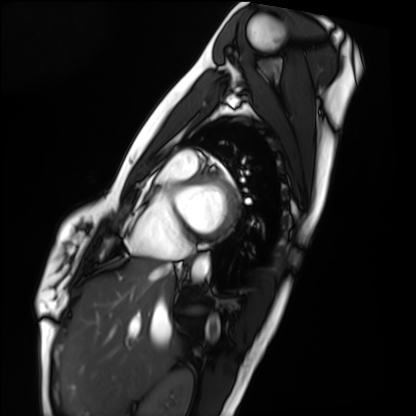
* modality — cardiac MRI
* subject group — healthy volunteer